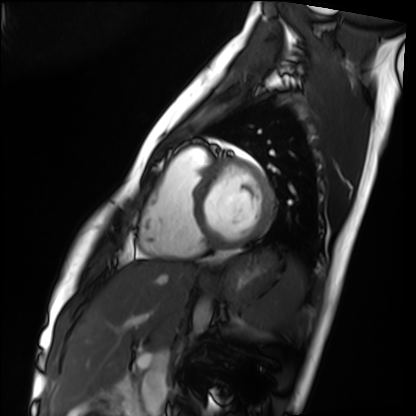
| field | value |
|---|---|
| modality | cardiac MRI |
| subject group | healthy volunteer |